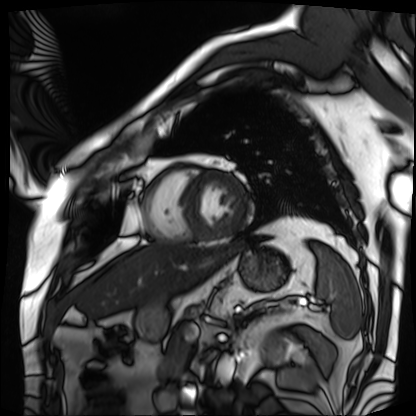
Case:
- modality — cardiac MRI
- subject group — patient